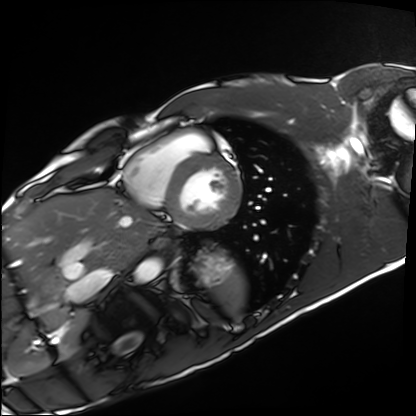
modality: cardiac MRI; subject group: healthy volunteer.